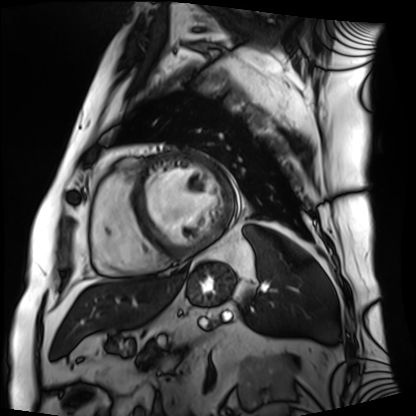
modality = cardiac MRI; subject group = patient.